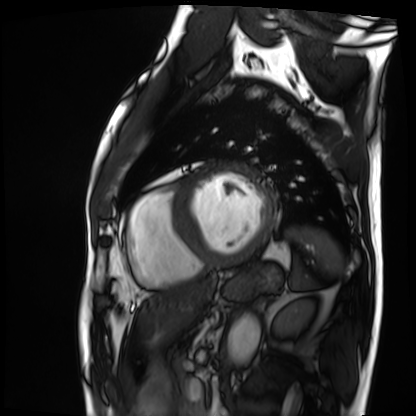
Cardiac MRI. Subject group: patient.